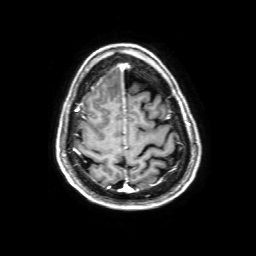
modality=3 Tesla brain MRI; study=ring-enhancing brain masses.